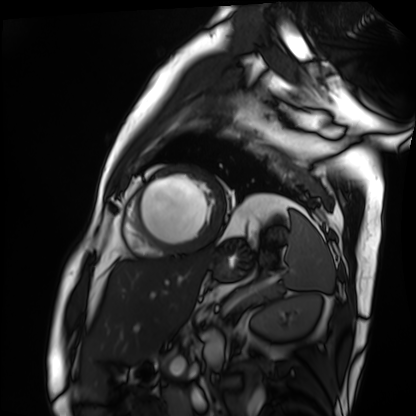
Cardiac MRI. Subject group: patient.